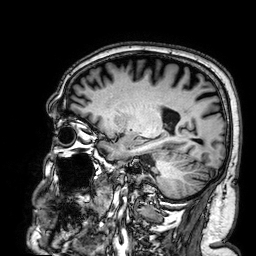
Q: What kind of scan is this?
A: 3 Tesla brain MRI.
Q: Series?
A: 3D T1-weighted.
Study: ring-enhancing brain masses.